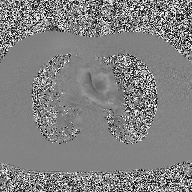
{"modality": {"type": "2D phase-contrast cine MRI", "region": "ascending aorta", "reconstruction": "high-resolution GRAPPA acquisition"}}